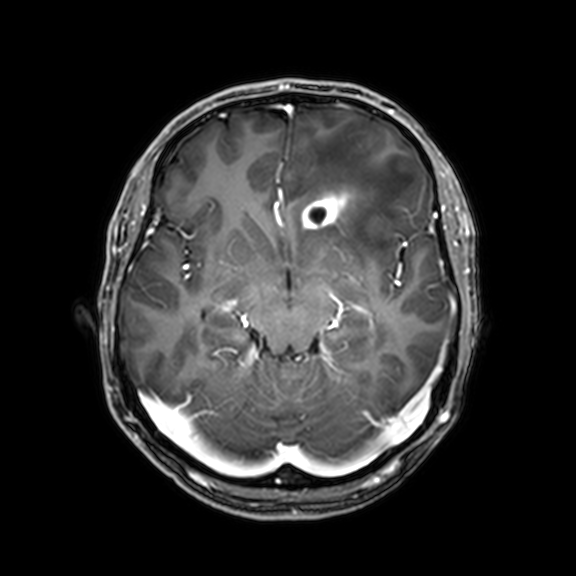
3 Tesla brain MRI. Series: 3D T1-weighted with CLEAR. Study: ring-enhancing brain masses.